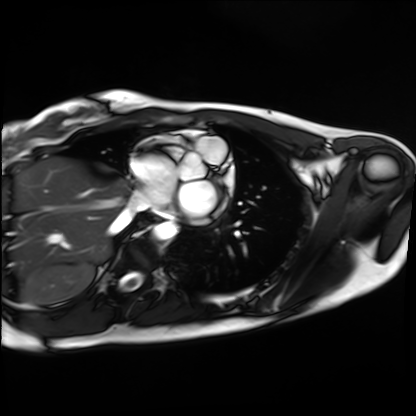
Cardiac MRI. Subject group: healthy volunteer.